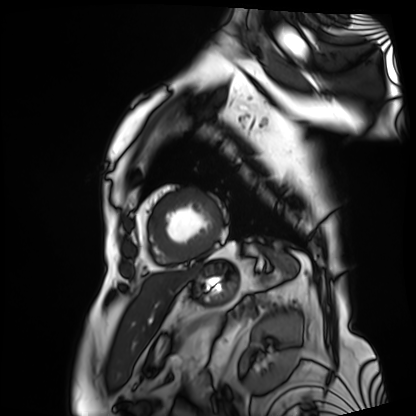
Cardiac MRI.
Subject group: patient.